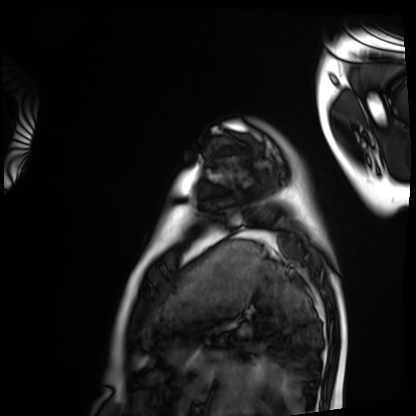
Cardiac MRI.
Subject group: healthy volunteer.